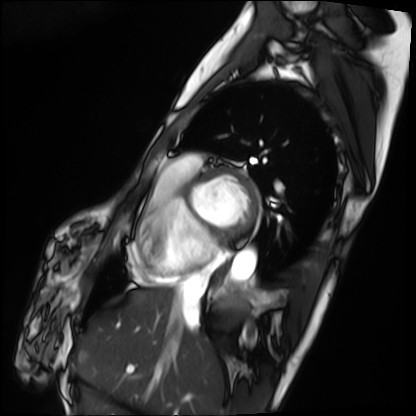
Case:
- modality — cardiac MRI
- subject group — patient